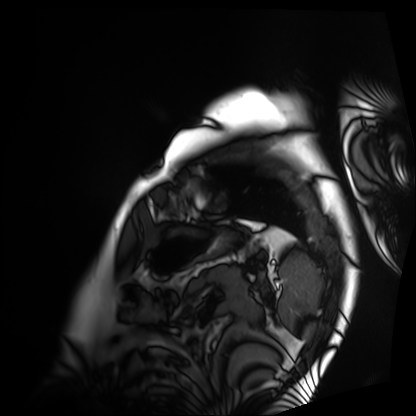
Cardiac MRI.
Subject group: patient.